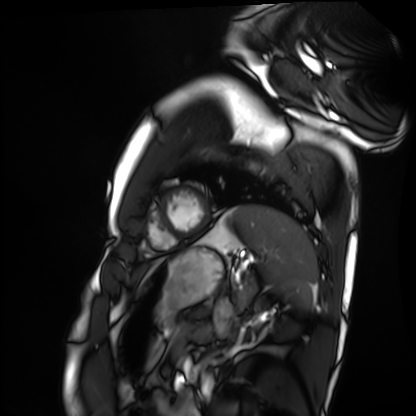
Q: What kind of scan is this?
A: Cardiac MRI.
Subject group: healthy volunteer.